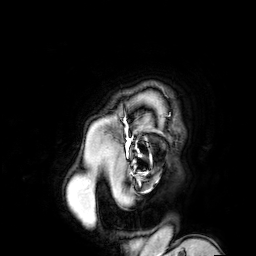
  modality:
    type: brain MRI
    field_strength: 3T
  series: 3D T1-weighted turbo field echo with SENSE
  study_topic: ring-enhancing brain masses